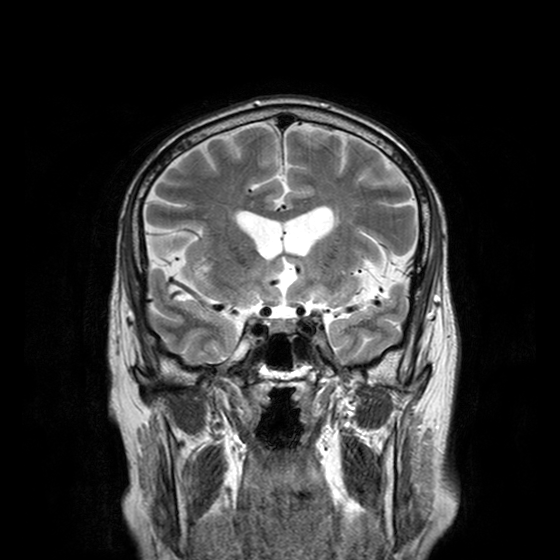
modality = 3 Tesla brain MRI | series = T2-weighted turbo spin echo with CLEAR | study = ring-enhancing brain masses.